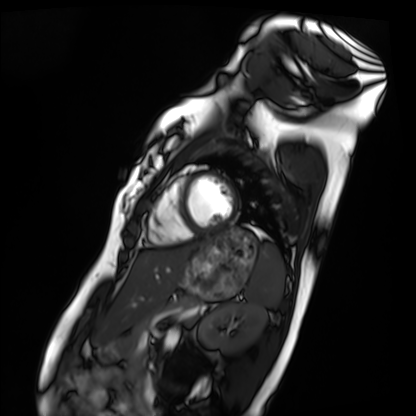
* modality — cardiac MRI
* subject group — healthy volunteer